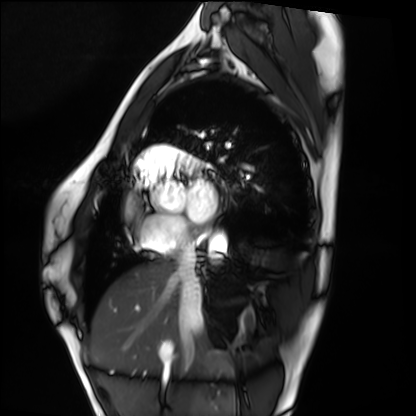
Cardiac MRI. Subject group: healthy volunteer.